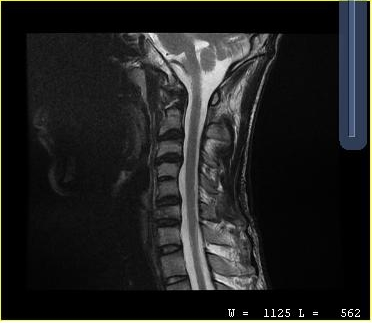
Summary: MRI of the cervical spine. Study: cervical spondylosis.